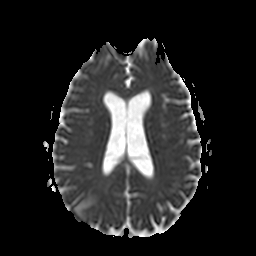
{"modality": {"type": "brain MRI", "field_strength": "3T"}, "series": "apparent diffusion coefficient (ADC) map", "study_topic": "ring-enhancing brain masses"}